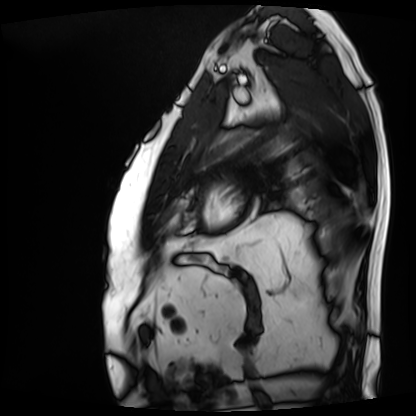
* modality · cardiac MRI
* subject group · patient